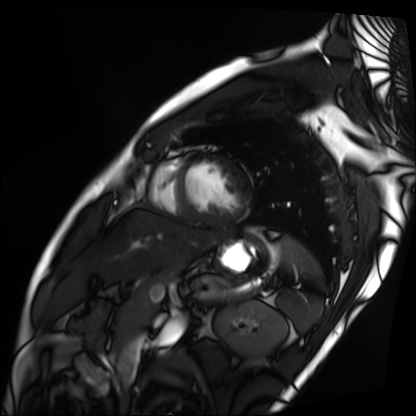
modality: cardiac MRI | subject group: patient.